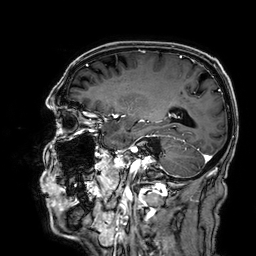
modality = 3 Tesla brain MRI | series = 3D T1-weighted | study = ring-enhancing brain masses.